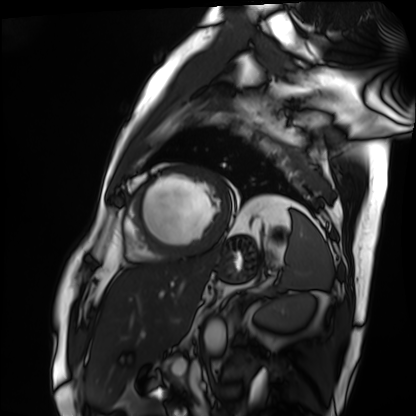
modality=cardiac MRI | subject group=patient.